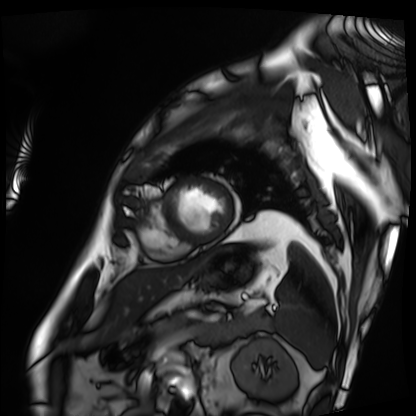
Cardiac MRI. Subject group: patient.